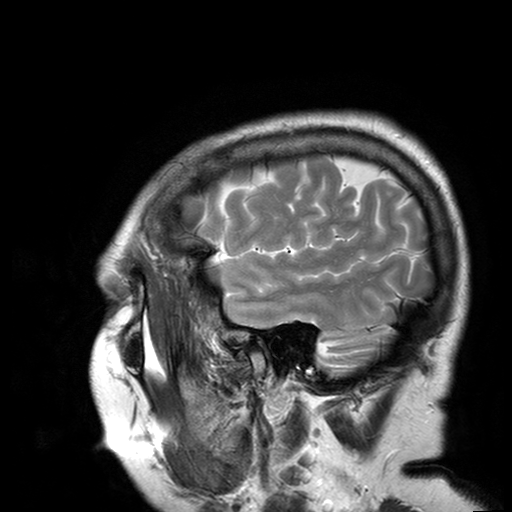
Clinical context:
3 Tesla brain MRI. Series: T2-weighted turbo spin echo with SENSE. Study: ring-enhancing brain masses.